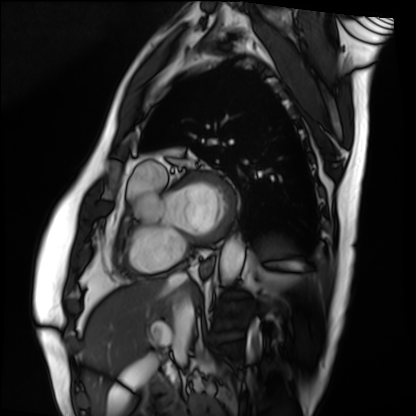
Summary: Cardiac MRI. Subject group: patient.